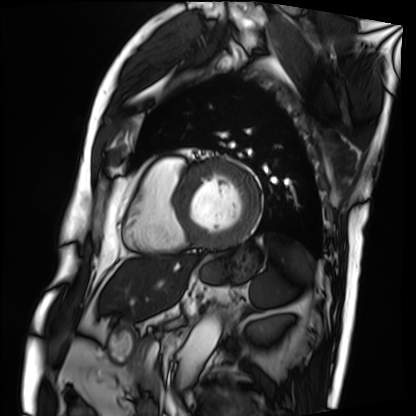
modality: cardiac MRI
subject group: patient